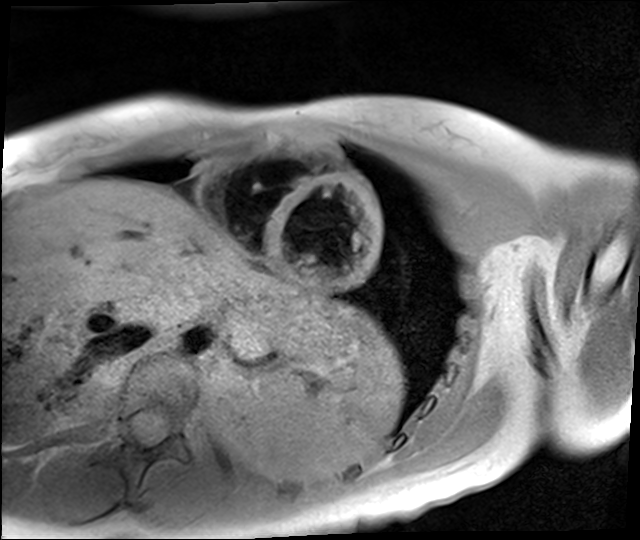
Cardiac MR image of the myocardium.
Subject cohort: healthy volunteer.